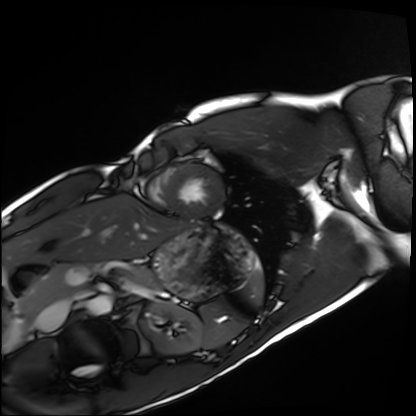
modality = cardiac MRI, subject group = healthy volunteer.